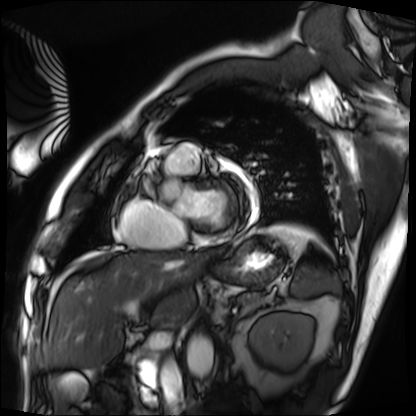
modality: cardiac MRI
subject group: patient